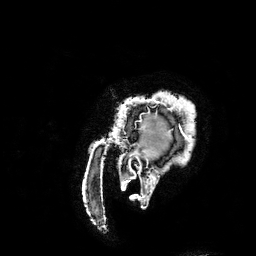
| field | value |
|---|---|
| modality | 3 Tesla brain MRI |
| series | 3D T1-weighted turbo field echo with SENSE |
| study | ring-enhancing brain masses |